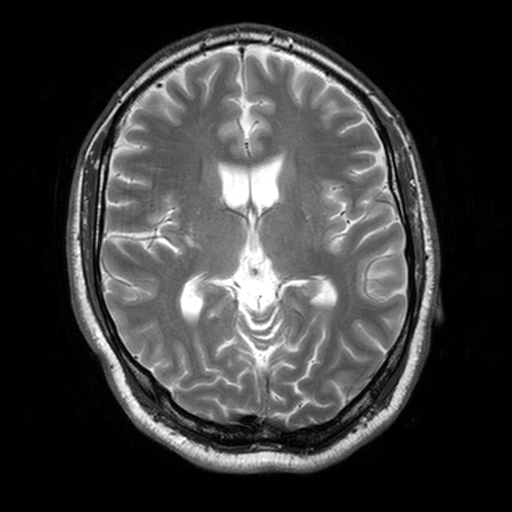
modality: 3 Tesla brain MRI; series: T2-weighted turbo spin echo, 3 mm; study: ring-enhancing brain masses.